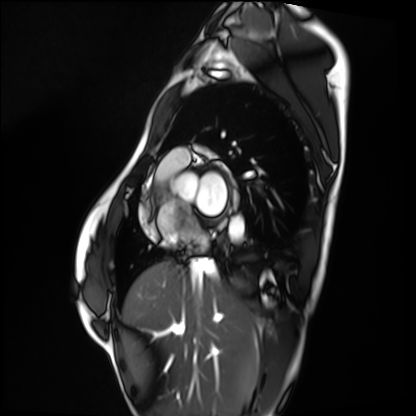
– modality · cardiac MRI
– subject group · healthy volunteer